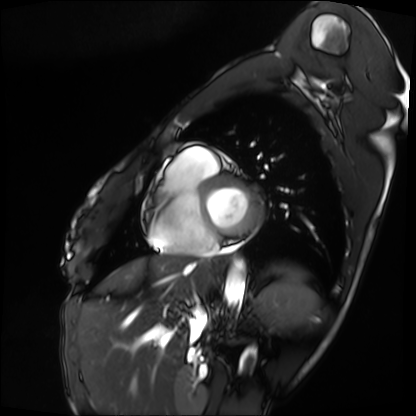
modality — cardiac MRI | subject group — patient.